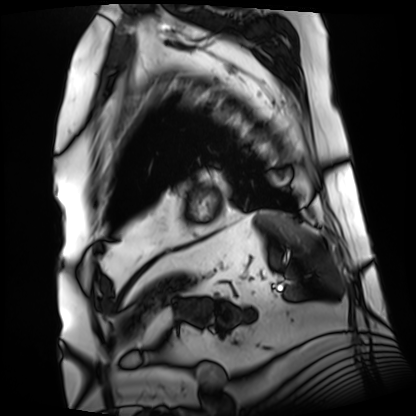
modality: cardiac MRI
subject group: patient